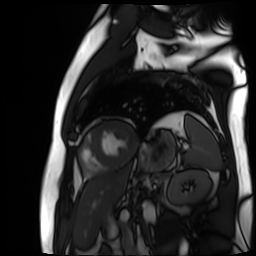
Cardiac MR image of the myocardium. Subject cohort: cardiac patient.